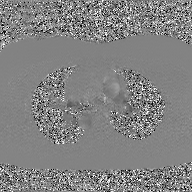
Summary: 2D phase-contrast cine MRI of the ascending aorta, GAN super-resolution reconstruction.